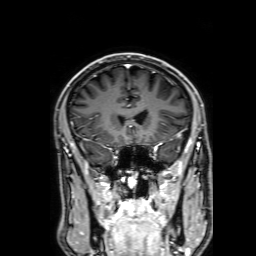
Case summary:
3 Tesla brain MRI. Series: 3D T1-weighted with SENSE. Study: ring-enhancing brain masses.